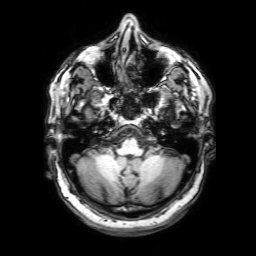
Clinical context:
3 Tesla brain MRI. Series: 3D T1-weighted with SENSE. Study: ring-enhancing brain masses.